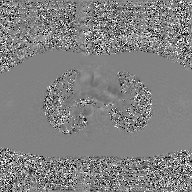
Q: What kind of scan is this?
A: 2D phase-contrast cine MRI of the ascending aorta, GAN super-resolution reconstruction.